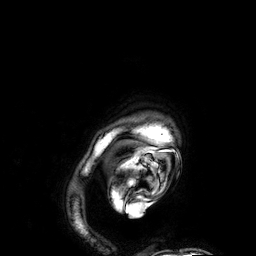
3 Tesla brain MRI.
Series: 3D T1-weighted.
Study: ring-enhancing brain masses.